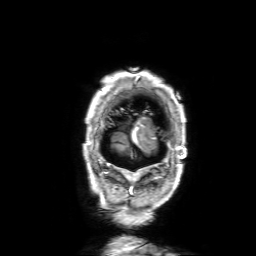
{
  "modality": {
    "type": "brain MRI",
    "field_strength": "3T"
  },
  "series": "3D T1-weighted with SENSE",
  "study_topic": "ring-enhancing brain masses"
}